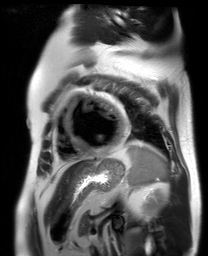
Cardiac MR image of the myocardium.
Subject cohort: cardiac patient.